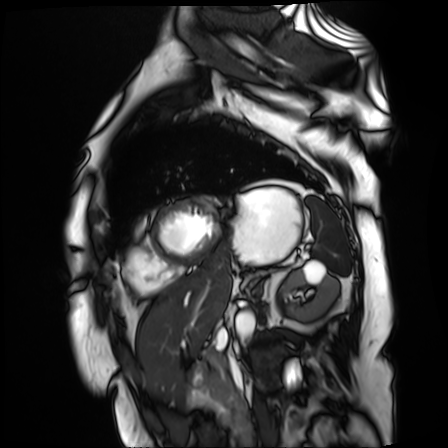
Clinical context: Cardiac MR image of the myocardium. Subject cohort: cardiac patient.